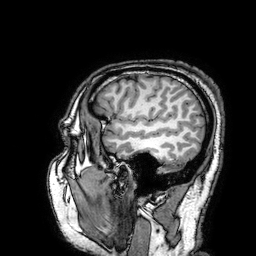
Case:
* modality · 3 Tesla brain MRI
* study · ring-enhancing brain masses